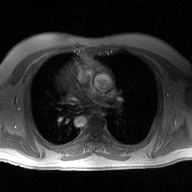
2D phase-contrast cine MRI of the ascending aorta, high-resolution GRAPPA acquisition.